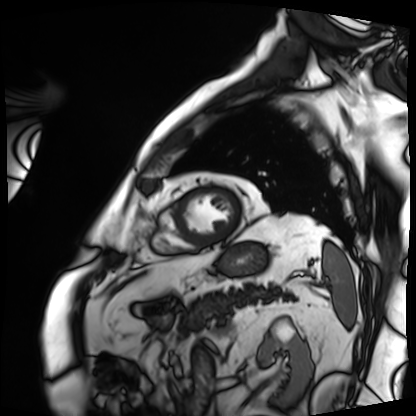
Case summary: Cardiac MRI. Subject group: patient.